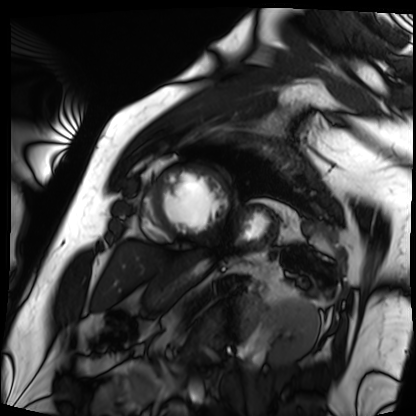
* modality: cardiac MRI
* subject group: patient